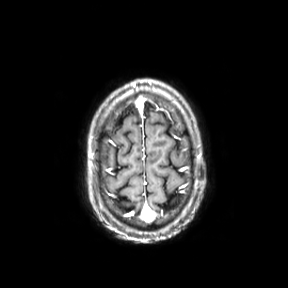
Case summary:
3 Tesla brain MRI. Series: axial. Study: ring-enhancing brain masses.